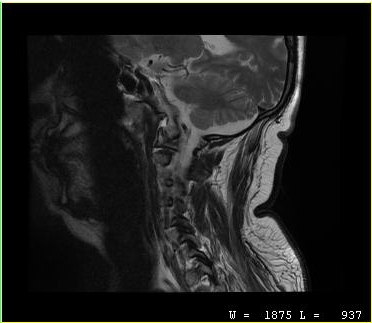
modality — MRI of the cervical spine
study — cervical spondylosis